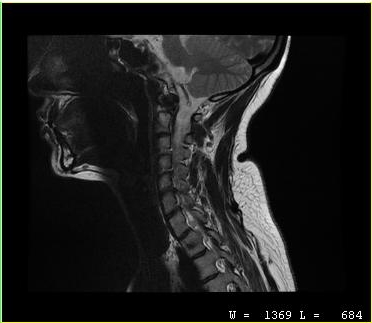
Case summary:
MRI of the cervical spine. Study: cervical spondylosis.